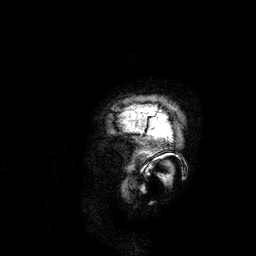
Q: What kind of scan is this?
A: 3 Tesla brain MRI.
Q: Series?
A: 3D T1-weighted.
Study: ring-enhancing brain masses.